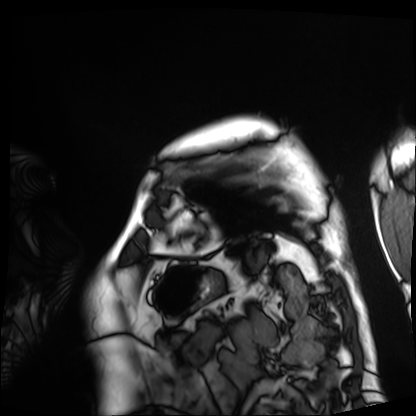
modality = cardiac MRI; subject group = patient.